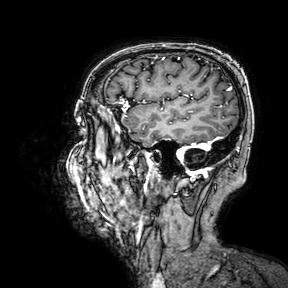
  modality:
    type: brain MRI
    field_strength: 3T
  series: 3D T1-weighted turbo field echo with SENSE
  study_topic: ring-enhancing brain masses